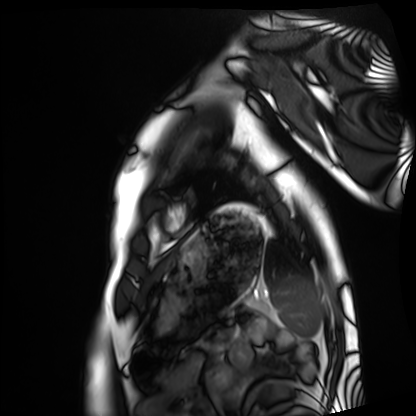
Cardiac MRI. Subject group: healthy volunteer.